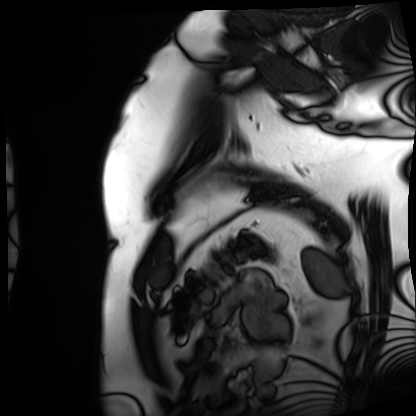
Case:
* modality — cardiac MRI
* subject group — patient